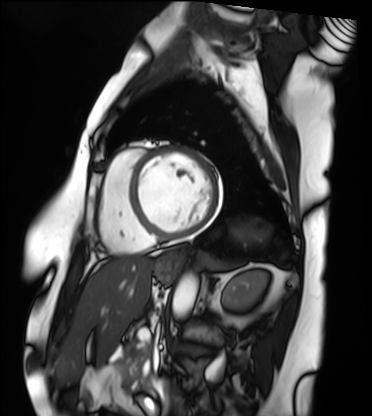
Q: What kind of scan is this?
A: Cardiac MRI.
Subject group: patient.